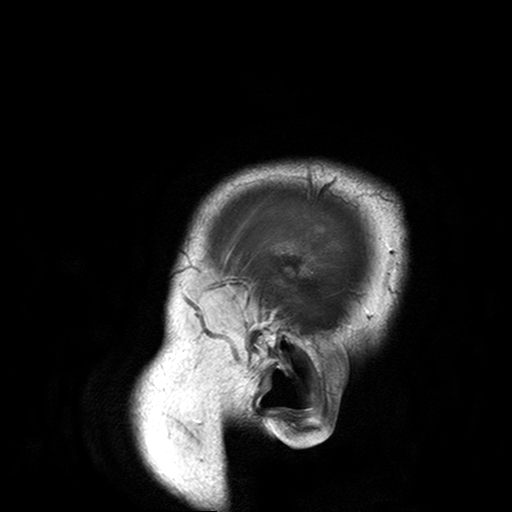
<record>
<modality>
  <type>brain MRI</type>
  <field_strength>3T</field_strength>
</modality>
<series>T2-weighted turbo spin echo with SENSE</series>
<study_topic>ring-enhancing brain masses</study_topic>
</record>